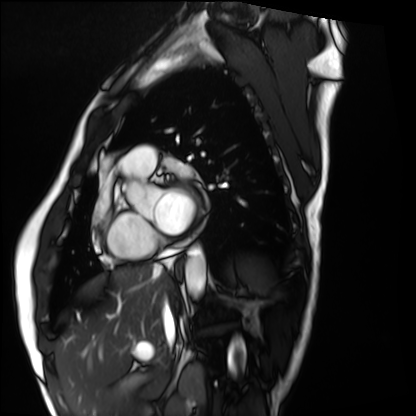
Cardiac MRI.
Subject group: healthy volunteer.